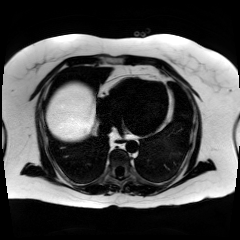
Case summary:
Chemical-shift-encoded cardiac MRI.